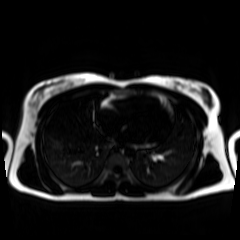
Case summary:
Chemical-shift-encoded cardiac MRI.